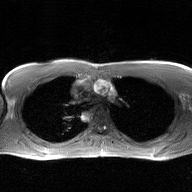
modality=2D phase-contrast cine MRI of the ascending aorta, GAN super-resolution reconstruction.